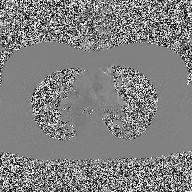
modality:
  type: 2D phase-contrast cine MRI
  region: ascending aorta
  reconstruction: high-resolution GRAPPA acquisition